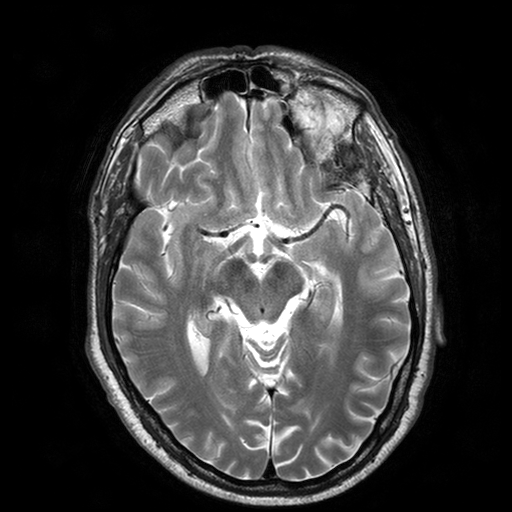
3 Tesla brain MRI. Series: T2-weighted turbo spin echo with SENSE. Study: ring-enhancing brain masses.